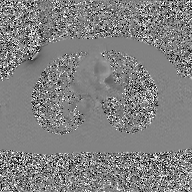
modality: 2D phase-contrast cine MRI of the ascending aorta, GAN super-resolution reconstruction.